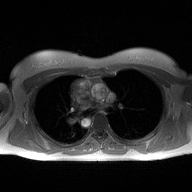
2D phase-contrast cine MRI of the ascending aorta, high-resolution GRAPPA acquisition.